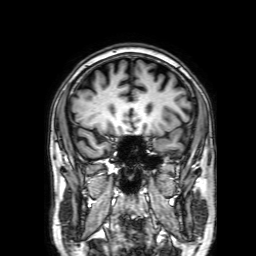
modality:
  type: brain MRI
  field_strength: 3T
series: 3D T1-weighted with SENSE
study_topic: ring-enhancing brain masses